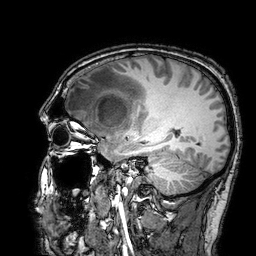
{"modality": {"type": "brain MRI", "field_strength": "3T"}, "study_topic": "ring-enhancing brain masses"}